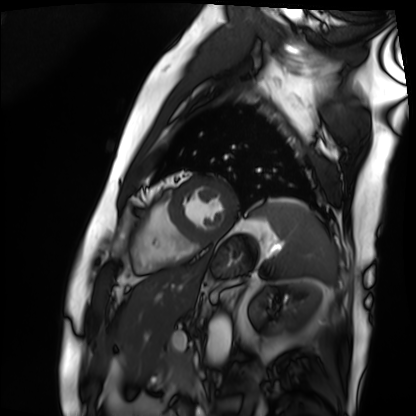
Summary:
Cardiac MRI. Subject group: patient.